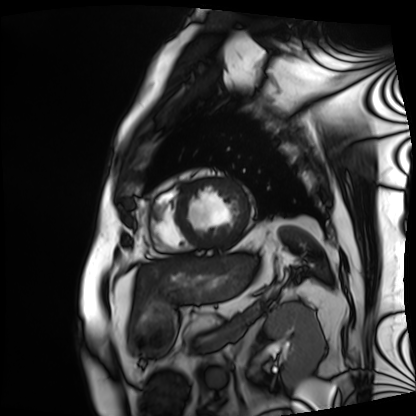
modality — cardiac MRI | subject group — patient.